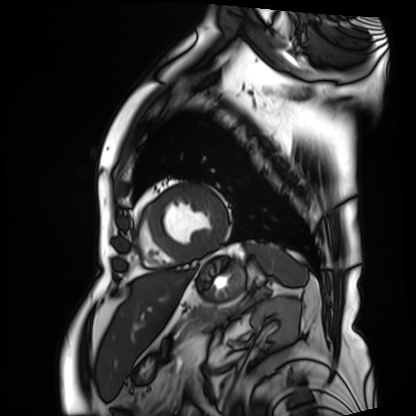
<record>
<modality>cardiac MRI</modality>
<cohort>patient</cohort>
</record>